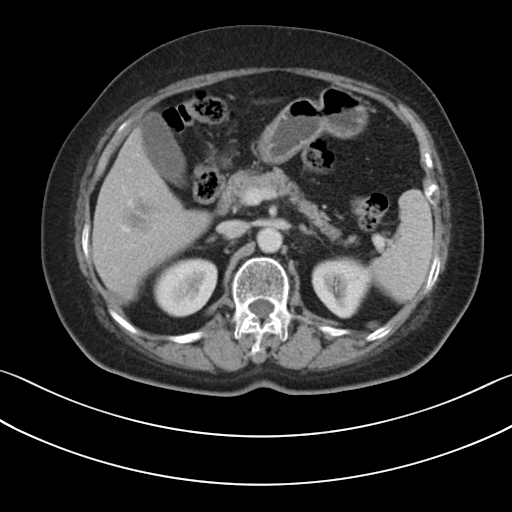
Multiphase abdominal CT, liver, portal venous phase. Patient: female, age 67. History: prior chemotherapy.